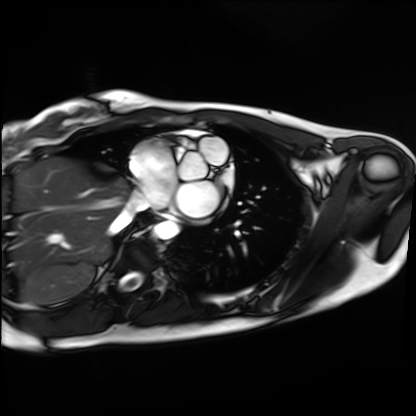
Cardiac MRI. Subject group: healthy volunteer.